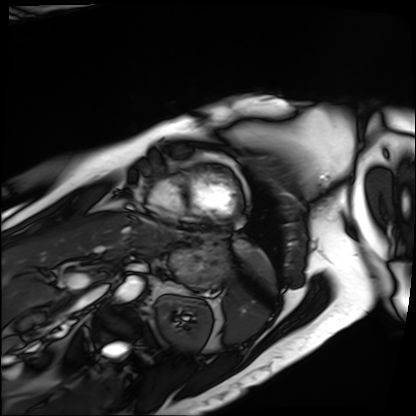
Cardiac MRI. Subject group: patient.